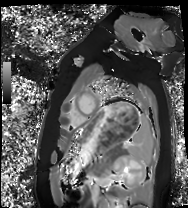
modality = cardiac MRI, subject group = healthy volunteer.